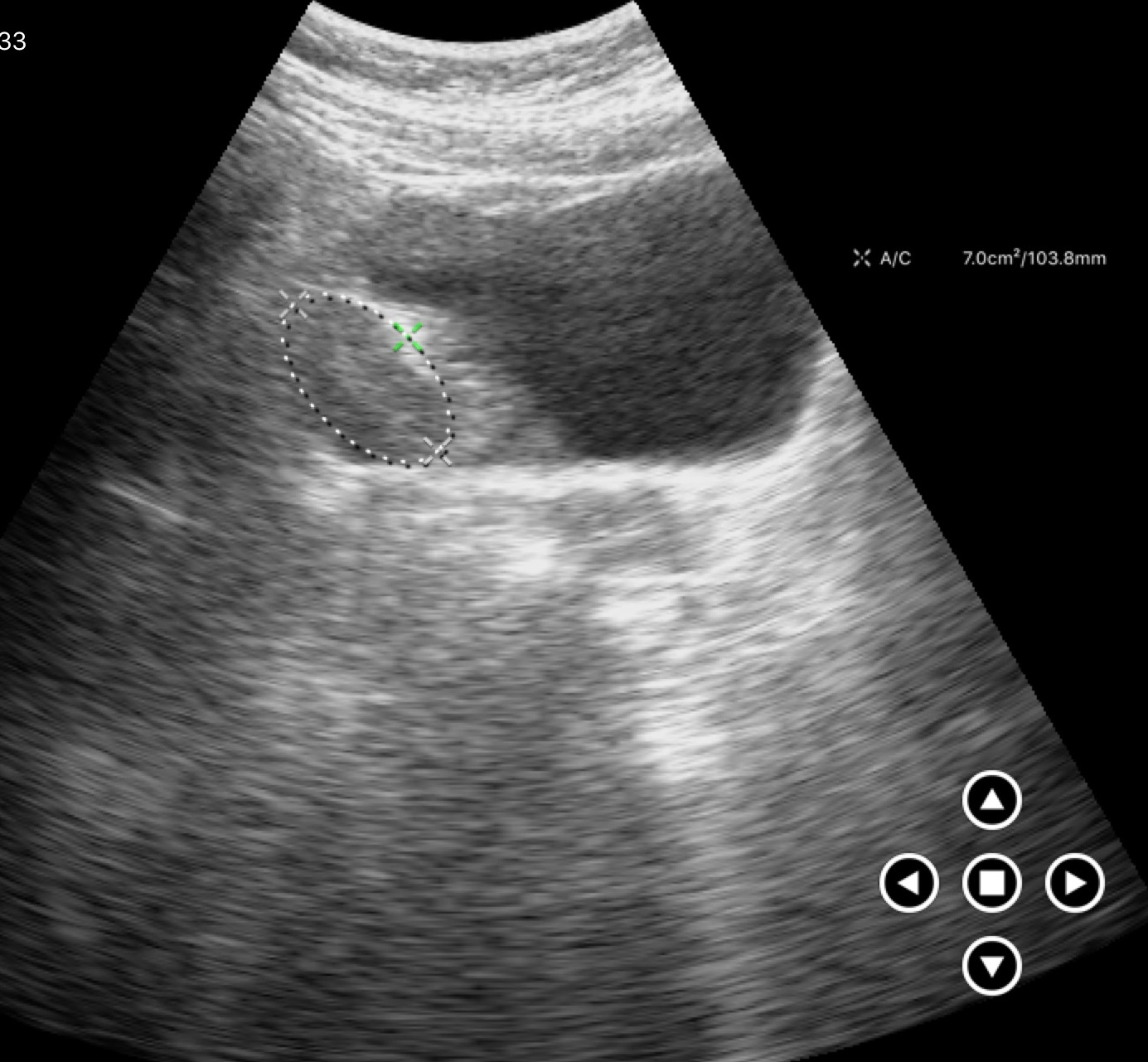
Genitourinary ultrasound.